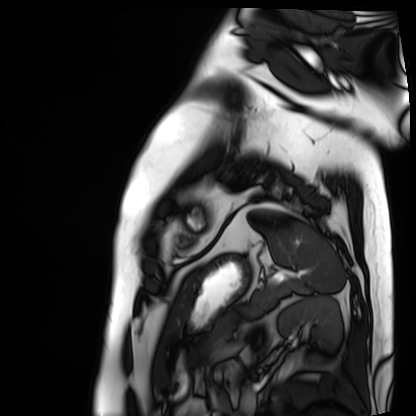
{"modality": "cardiac MRI", "cohort": "patient"}